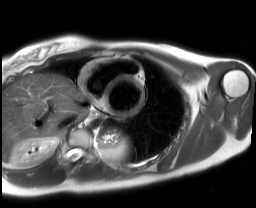
Cardiac MRI. Subject group: healthy volunteer.